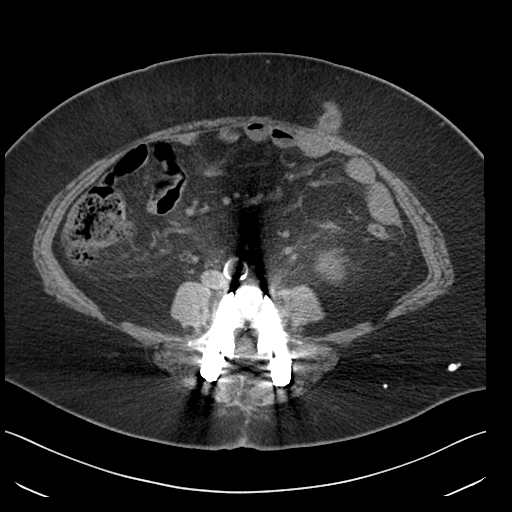
modality — multiphase abdominal CT, liver, non-contrast phase.